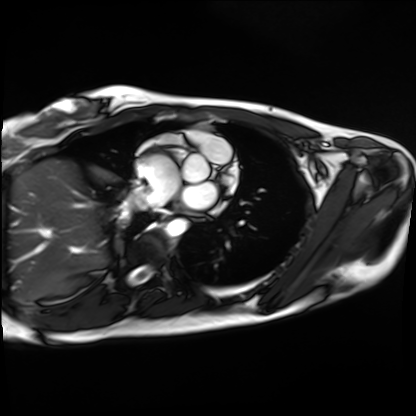
Cardiac MRI. Subject group: healthy volunteer.